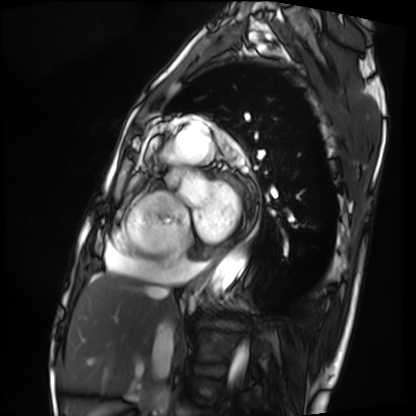
Q: What kind of scan is this?
A: Cardiac MRI.
Subject group: patient.